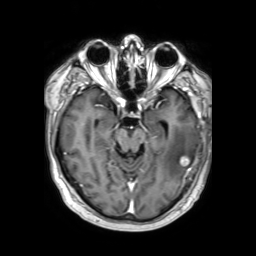
| field | value |
|---|---|
| modality | 3 Tesla brain MRI |
| series | 3D T1-weighted TFE with SENSE |
| study | ring-enhancing brain masses |